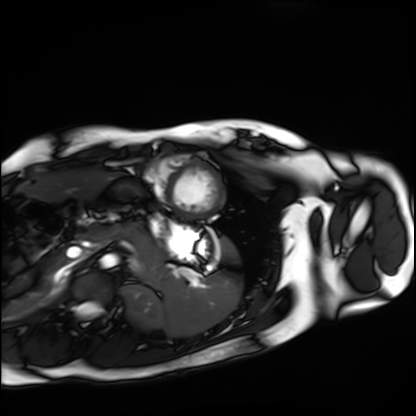
Cardiac MRI.
Subject group: healthy volunteer.